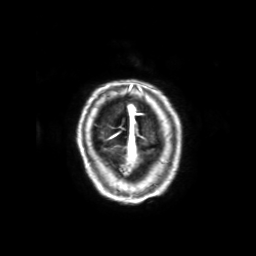
modality = 3 Tesla brain MRI
series = 3D T1-weighted with SENSE
study = ring-enhancing brain masses